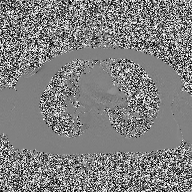
Clinical context: 2D phase-contrast cine MRI of the ascending aorta, high-resolution GRAPPA acquisition.